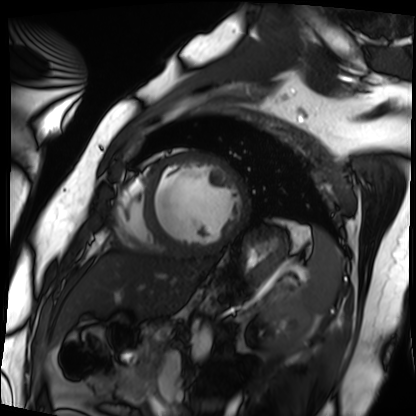
Cardiac MRI.
Subject group: patient.